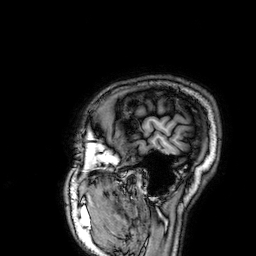
3 Tesla brain MRI.
Series: 3D T1-weighted.
Study: ring-enhancing brain masses.